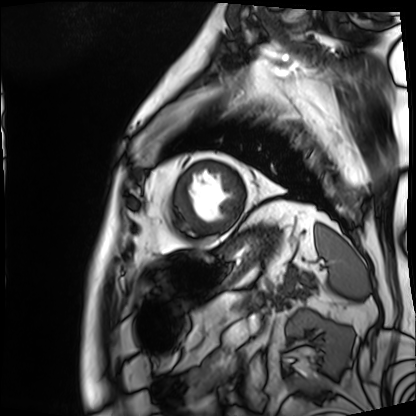
Cardiac MRI.
Subject group: patient.